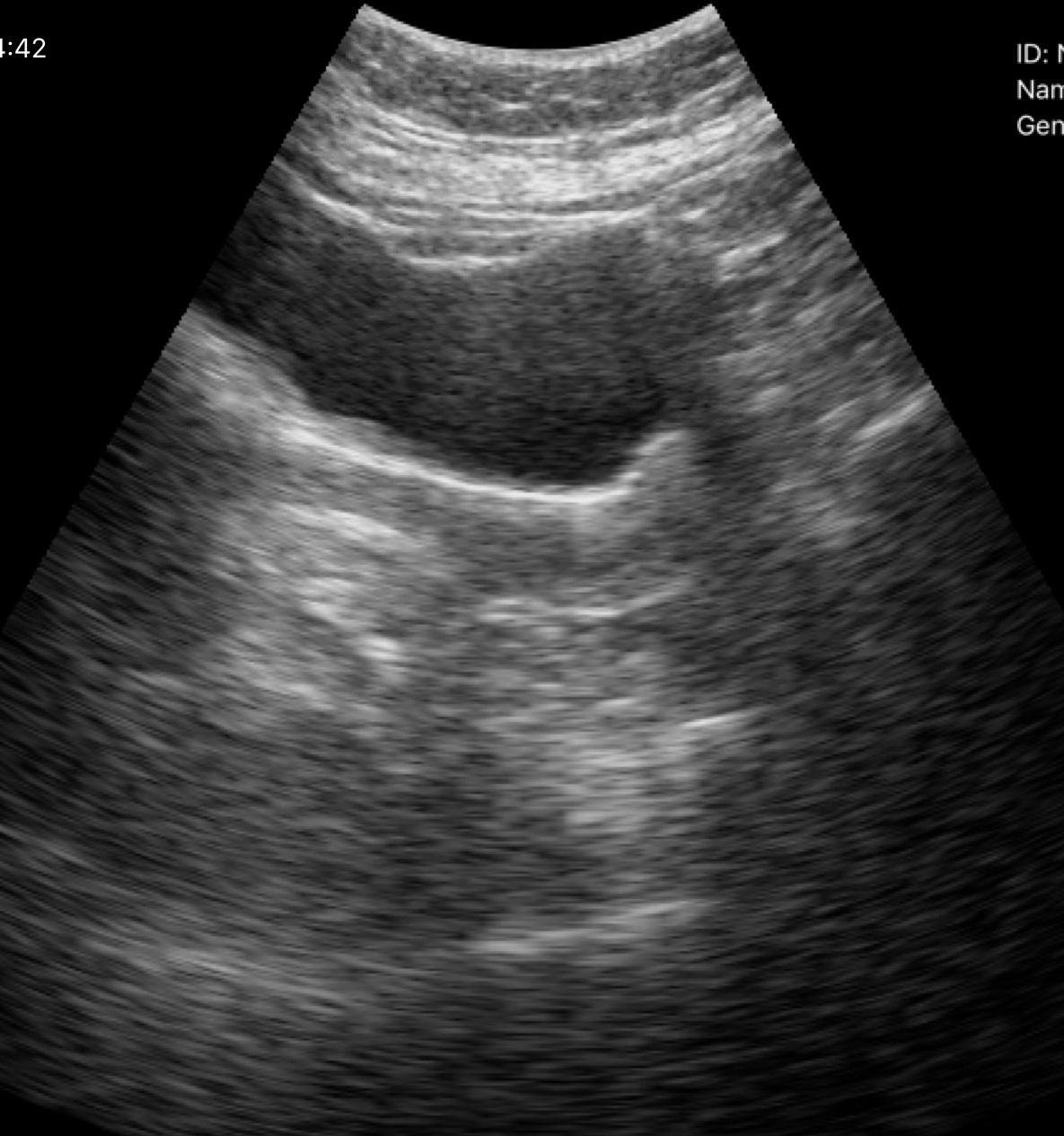
Genitourinary ultrasound.